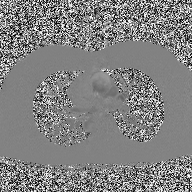
  modality:
    type: 2D phase-contrast cine MRI
    region: ascending aorta
    reconstruction: high-resolution GRAPPA acquisition